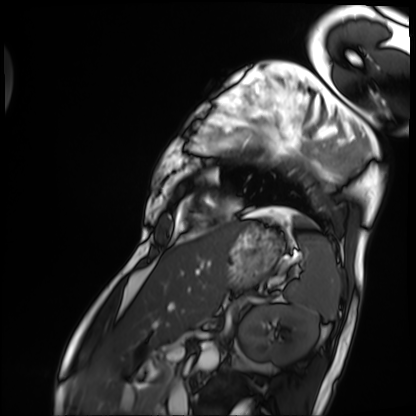
Cardiac MRI.
Subject group: patient.